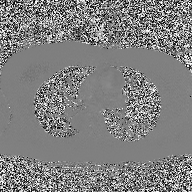
2D phase-contrast cine MRI of the ascending aorta, high-resolution GRAPPA acquisition.